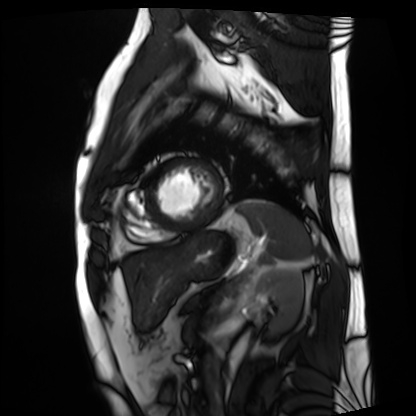
Cardiac MRI.
Subject group: patient.